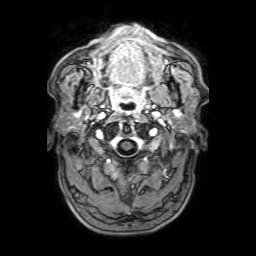
{"modality": {"type": "brain MRI", "field_strength": "3T"}, "series": "3D T1-weighted with SENSE", "study_topic": "ring-enhancing brain masses"}